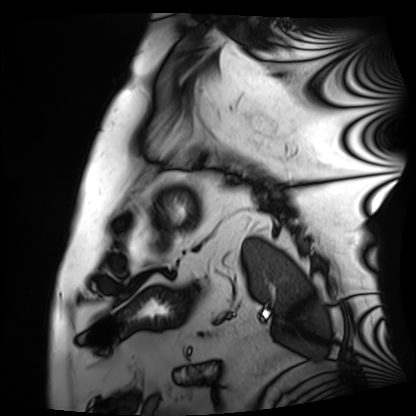
Case:
– modality — cardiac MRI
– subject group — patient